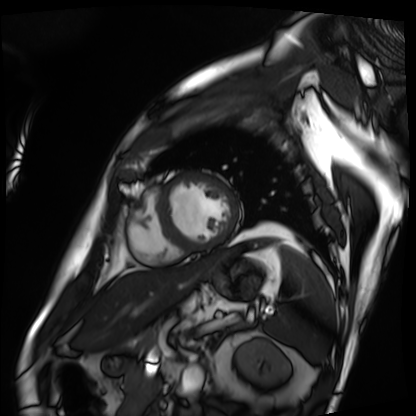
{"modality": "cardiac MRI", "cohort": "patient"}